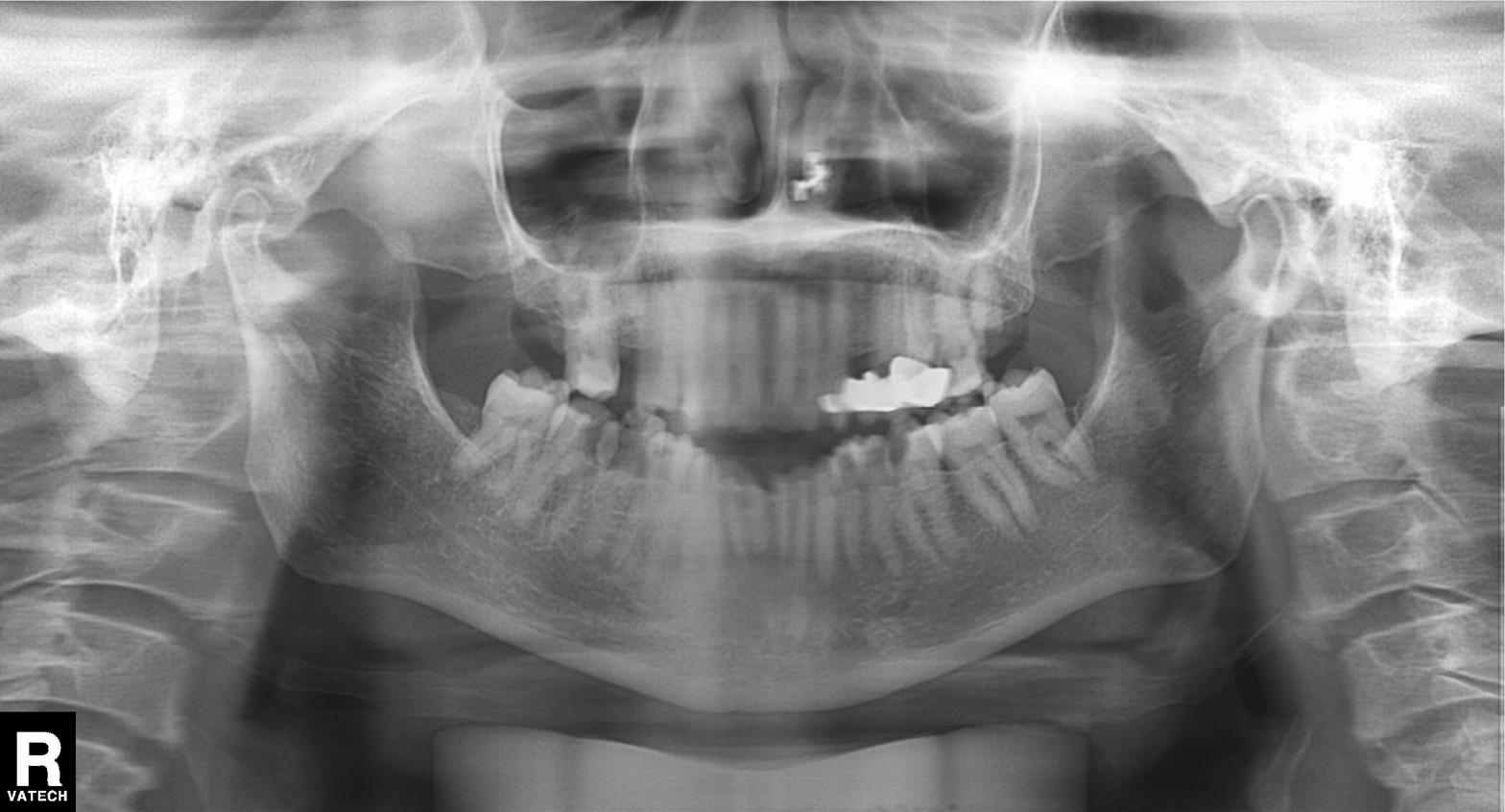
Panoramic dental radiograph (orthopantomogram). Finding: dental caries (cavities).